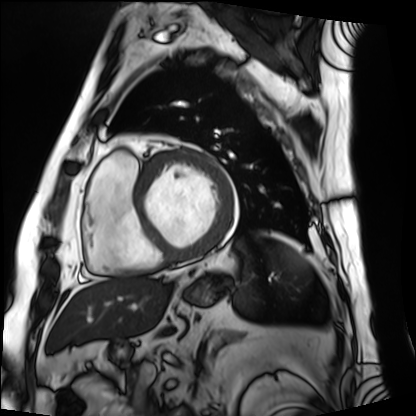
Q: What kind of scan is this?
A: Cardiac MRI.
Subject group: patient.